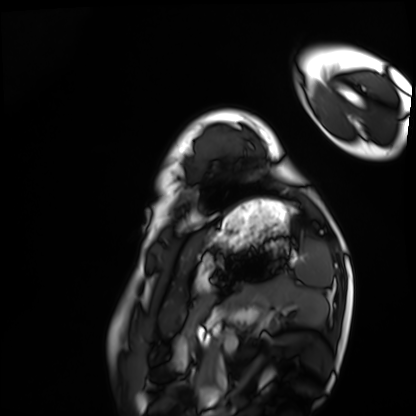
modality: cardiac MRI | subject group: healthy volunteer.